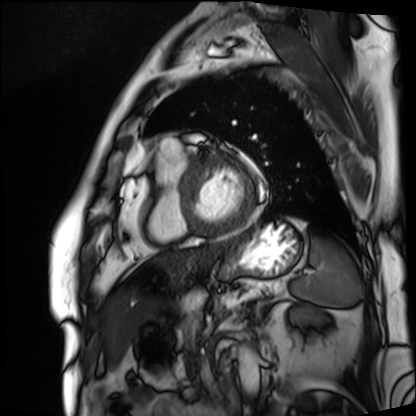
<scan>
<modality>cardiac MRI</modality>
<cohort>patient</cohort>
</scan>